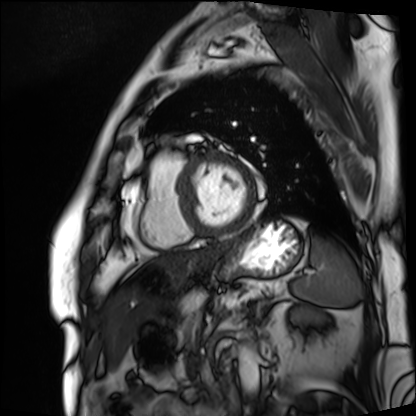
Q: What kind of scan is this?
A: Cardiac MRI.
Subject group: patient.